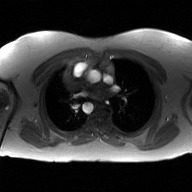
2D phase-contrast cine MRI of the ascending aorta, GAN super-resolution reconstruction.